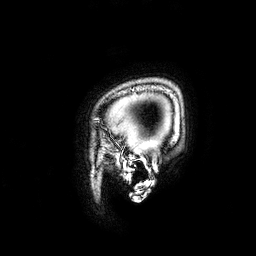
3 Tesla brain MRI.
Series: 3D T1-weighted.
Study: ring-enhancing brain masses.